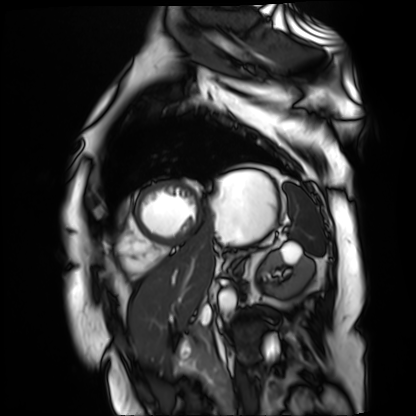
Clinical context: Cardiac MR image of the myocardium. Subject cohort: cardiac patient.